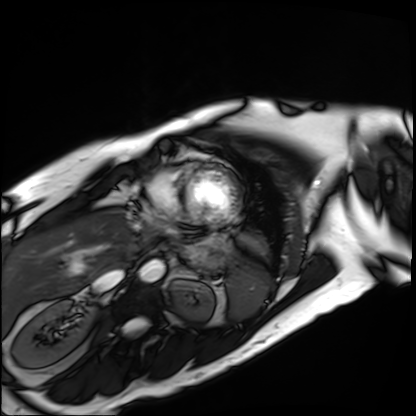
modality: cardiac MRI
subject group: patient